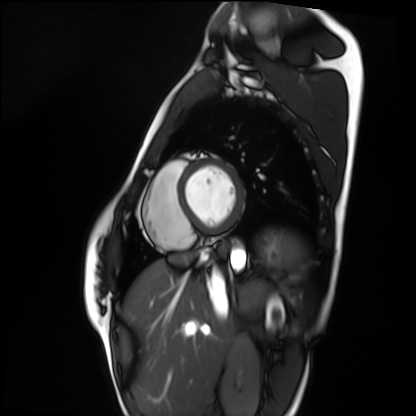
modality: cardiac MRI
subject group: healthy volunteer